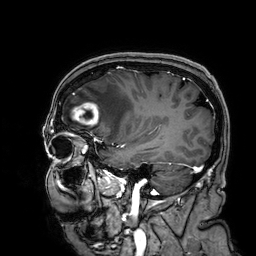
Summary:
3 Tesla brain MRI. Series: 3D T1-weighted. Study: ring-enhancing brain masses.